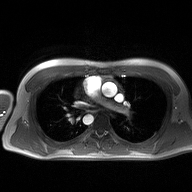
2D phase-contrast cine MRI of the ascending aorta, high-resolution GRAPPA acquisition.